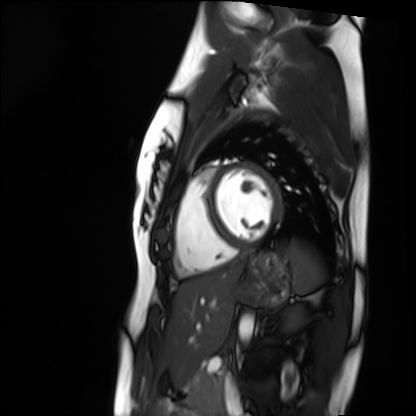
- modality · cardiac MRI
- subject group · healthy volunteer